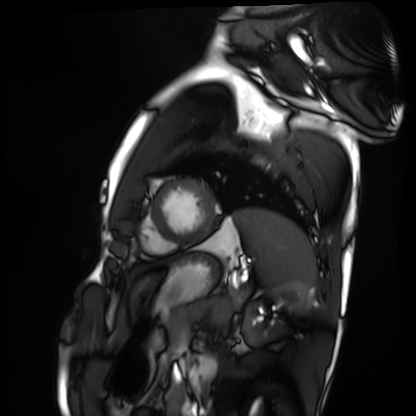
Clinical context: Cardiac MRI. Subject group: healthy volunteer.